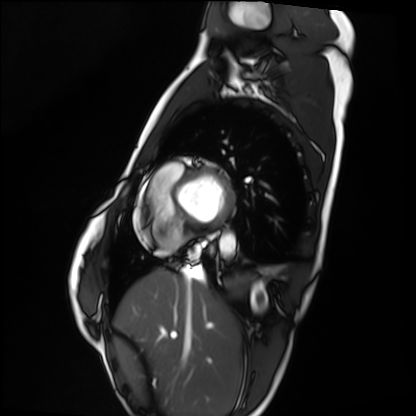
Cardiac MRI. Subject group: healthy volunteer.